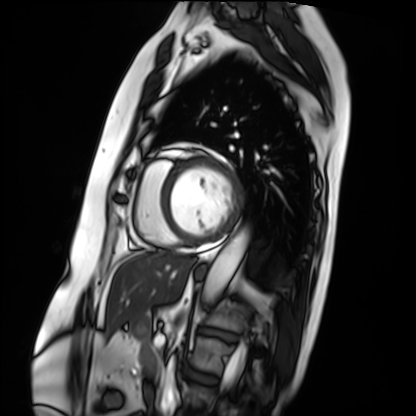
Q: What kind of scan is this?
A: Cardiac MRI.
Subject group: patient.